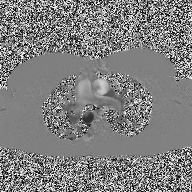
<case>
<modality>
  <type>2D phase-contrast cine MRI</type>
  <region>ascending aorta</region>
  <reconstruction>high-resolution GRAPPA acquisition</reconstruction>
</modality>
</case>